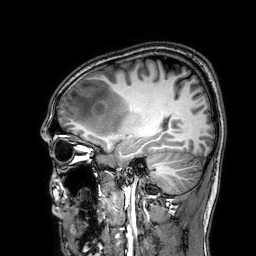
modality: 3 Tesla brain MRI
series: 3D T1-weighted
study: ring-enhancing brain masses